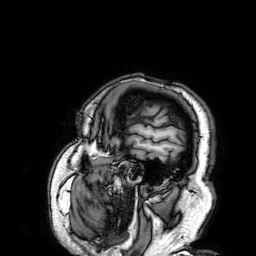
3 Tesla brain MRI. Series: 3D T1-weighted. Study: ring-enhancing brain masses.